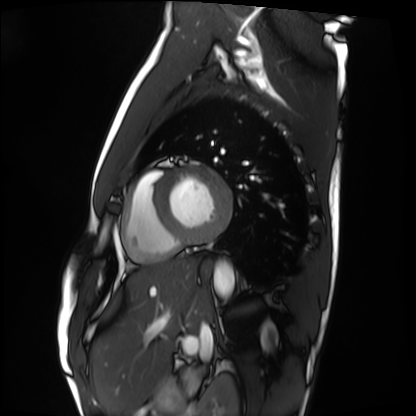
– modality: cardiac MRI
– subject group: healthy volunteer